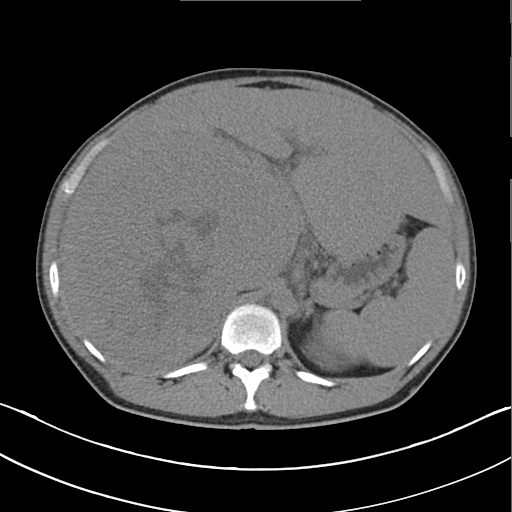
Multiphase abdominal CT, liver, non-contrast phase. Patient: male, age 45.